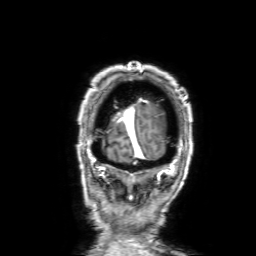
3 Tesla brain MRI.
Series: 3D T1-weighted with SENSE.
Study: ring-enhancing brain masses.